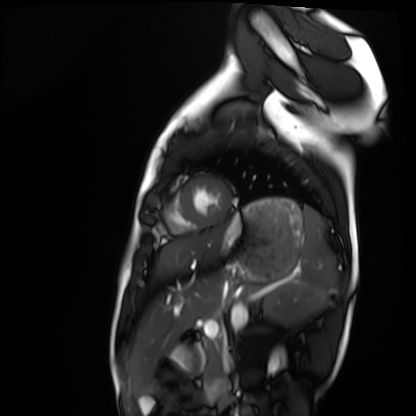
Case:
• modality: cardiac MRI
• subject group: healthy volunteer